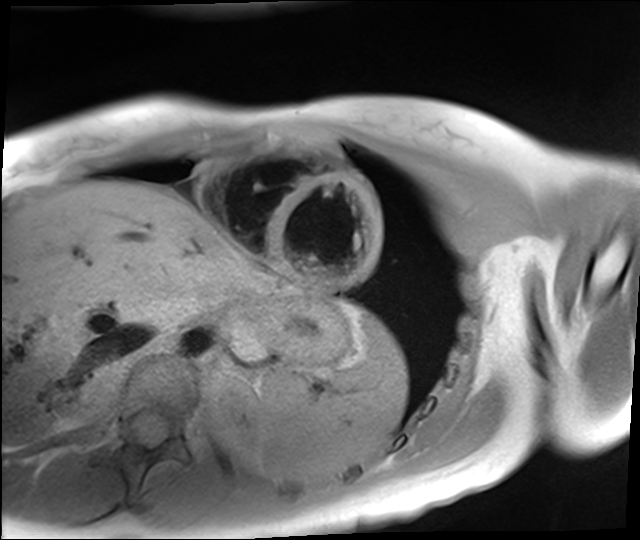
modality = cardiac MR image of the myocardium | subject cohort = healthy volunteer.